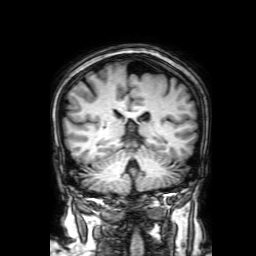
3 Tesla brain MRI. Series: 3D T1-weighted with SENSE. Study: ring-enhancing brain masses.